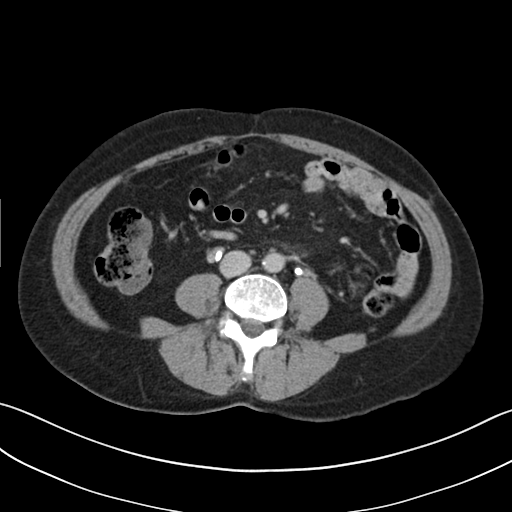
Multiphase abdominal CT, liver, delayed phase. Patient: female, age 49.